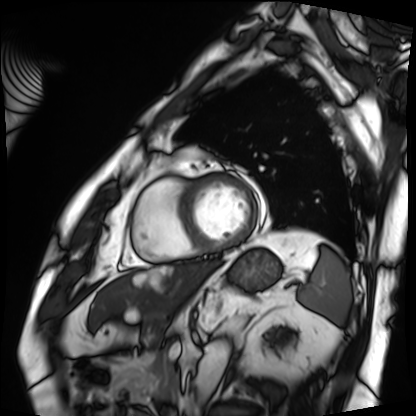
Cardiac MRI. Subject group: patient.